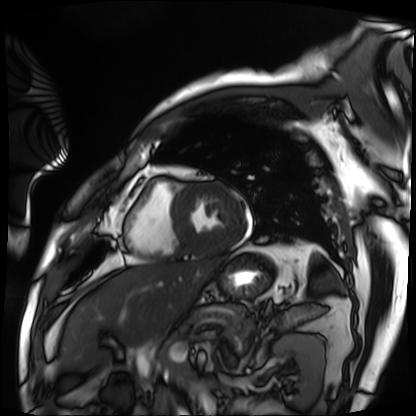
modality: cardiac MRI, subject group: patient.